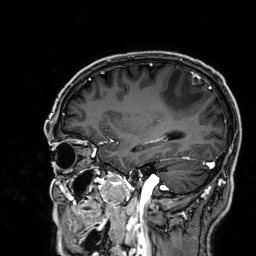
modality = 3 Tesla brain MRI | series = 3D T1-weighted | study = ring-enhancing brain masses.